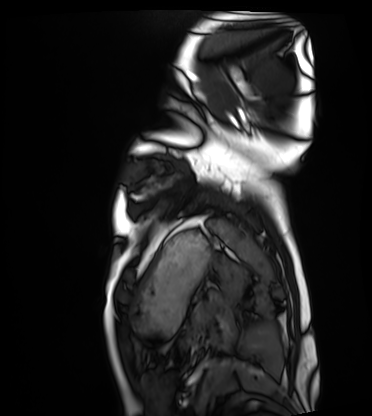
<scan>
<modality>cardiac MRI</modality>
<cohort>healthy volunteer</cohort>
</scan>